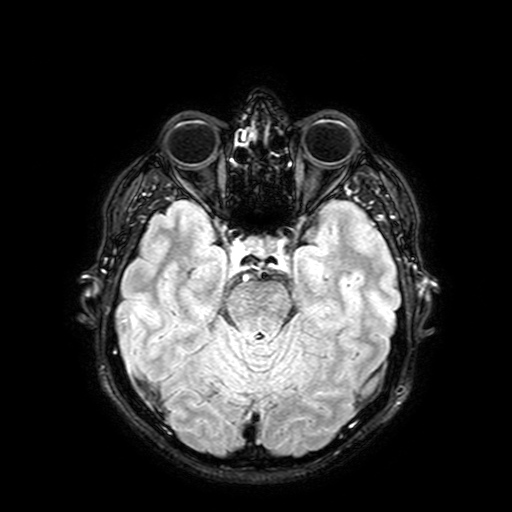
3 Tesla brain MRI. Series: FLAIR with SPAIR, 3 mm. Study: ring-enhancing brain masses.